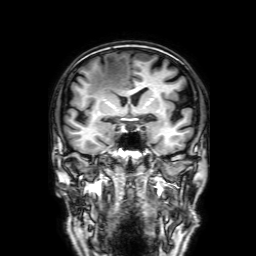
modality = 3 Tesla brain MRI; series = 3D T1-weighted with SENSE; study = ring-enhancing brain masses.